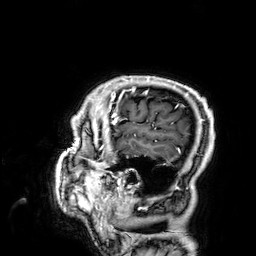
Case summary:
3 Tesla brain MRI. Series: 3D T1-weighted. Study: ring-enhancing brain masses.